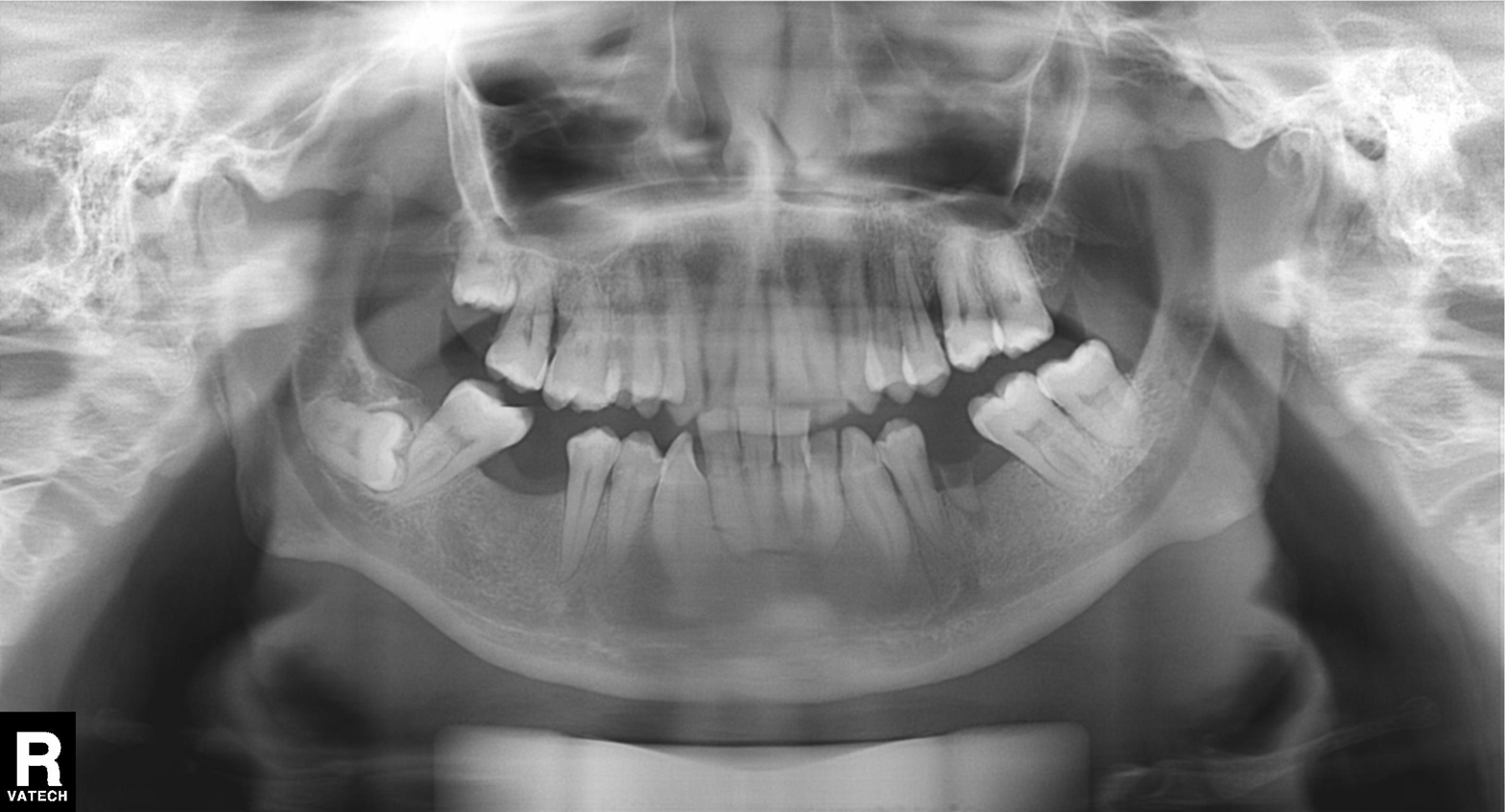
Clinical context: Panoramic dental radiograph (orthopantomogram).
Conclusion: Dental caries (cavities).